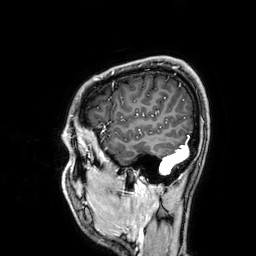
Q: What kind of scan is this?
A: 3 Tesla brain MRI.
Q: Series?
A: 3D T1-weighted.
Study: ring-enhancing brain masses.